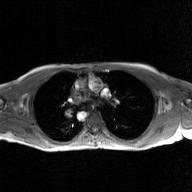
* modality: 2D phase-contrast cine MRI of the ascending aorta, GAN super-resolution reconstruction